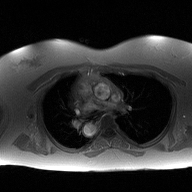
Summary:
2D phase-contrast cine MRI of the ascending aorta, high-resolution GRAPPA acquisition.